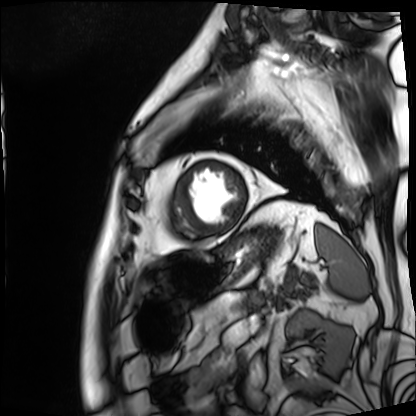
Cardiac MRI.
Subject group: patient.